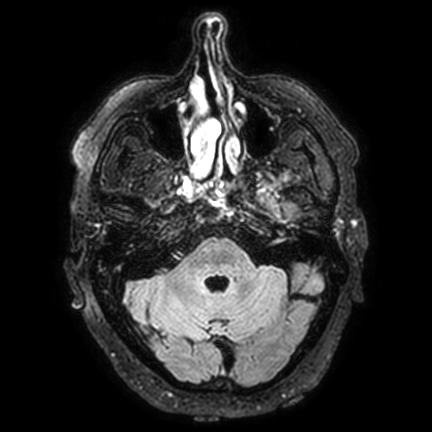
| field | value |
|---|---|
| modality | 3 Tesla brain MRI |
| series | FLAIR VISTA with SENSE |
| study | ring-enhancing brain masses |